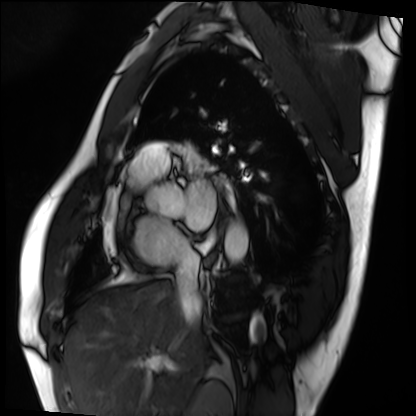
* modality: cardiac MRI
* subject group: patient